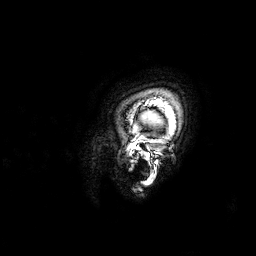
modality: 3 Tesla brain MRI; series: 3D T1-weighted; study: ring-enhancing brain masses.